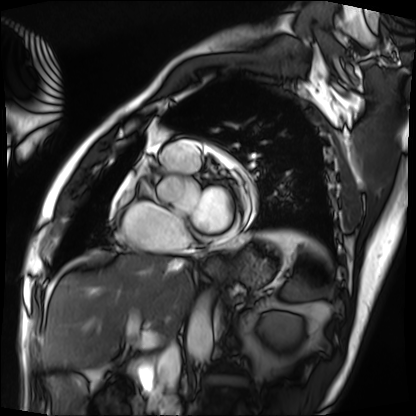
modality: cardiac MRI
cohort: patient